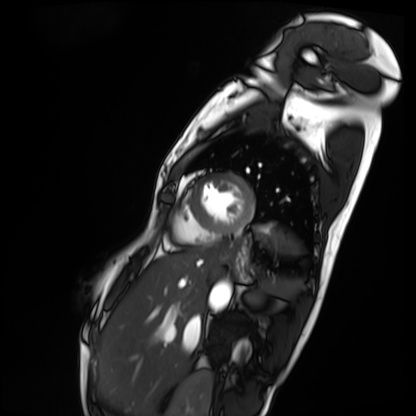
modality: cardiac MRI, subject group: patient.